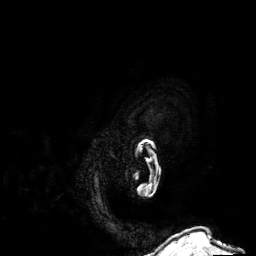
- modality · 3 Tesla brain MRI
- series · 3D T1-weighted
- study · ring-enhancing brain masses